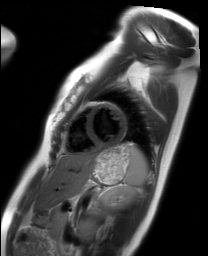
– modality — cardiac MRI
– subject group — healthy volunteer